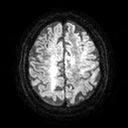
{
  "modality": {
    "type": "brain MRI",
    "field_strength": "3T"
  },
  "series": "diffusion tensor imaging (medium iso)",
  "study_topic": "ring-enhancing brain masses"
}